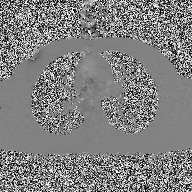
2D phase-contrast cine MRI of the ascending aorta, high-resolution GRAPPA acquisition.